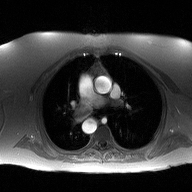
2D phase-contrast cine MRI of the ascending aorta, high-resolution GRAPPA acquisition.